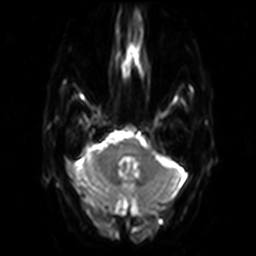
Q: What kind of scan is this?
A: 3 Tesla brain MRI.
Q: Series?
A: Diffusion-weighted imaging.
Study: ring-enhancing brain masses.